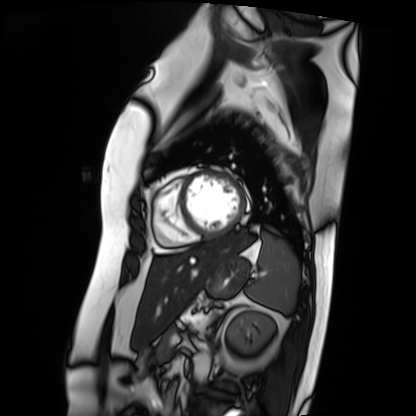
Clinical context:
Cardiac MRI. Subject group: patient.